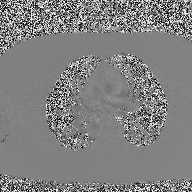
modality = 2D phase-contrast cine MRI of the ascending aorta.